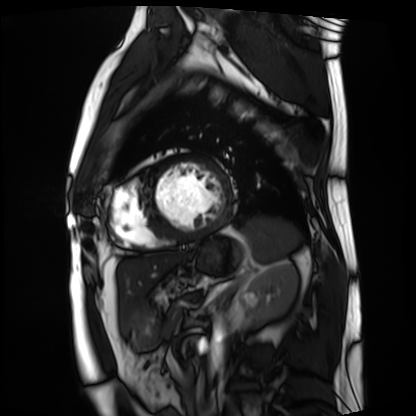
Q: What kind of scan is this?
A: Cardiac MRI.
Subject group: patient.